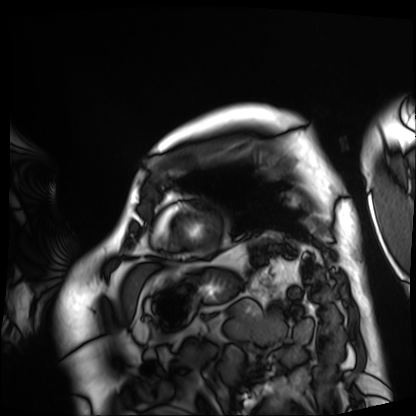
modality = cardiac MRI | subject group = patient.